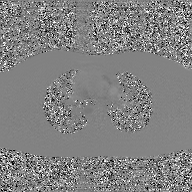
| field | value |
|---|---|
| modality | 2D phase-contrast cine MRI of the ascending aorta, GAN super-resolution reconstruction |